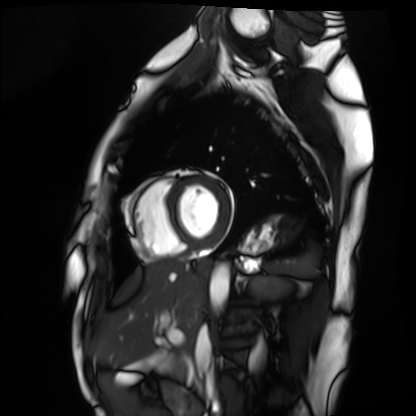
Cardiac MRI.
Subject group: healthy volunteer.